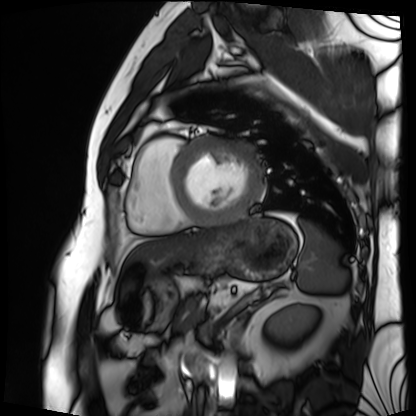
Cardiac MRI. Subject group: patient.